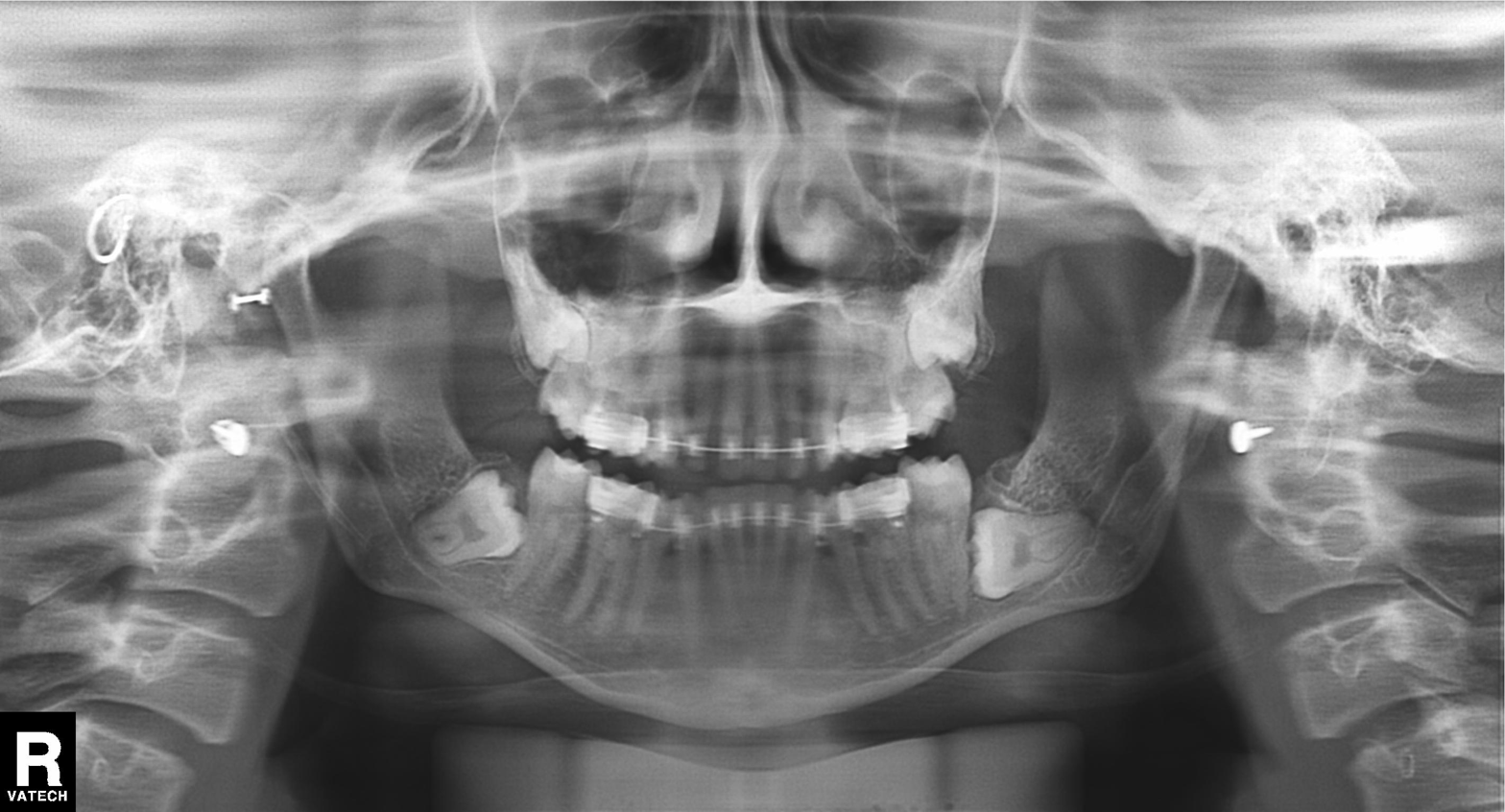
Q: What kind of scan is this?
A: Panoramic dental radiograph (orthopantomogram).
Q: What is the radiographic finding?
A: Dental caries (cavities).